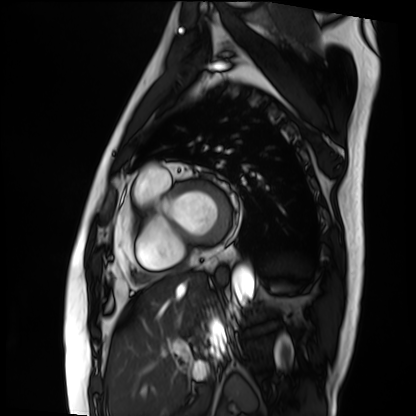
  modality: cardiac MRI
  cohort: patient